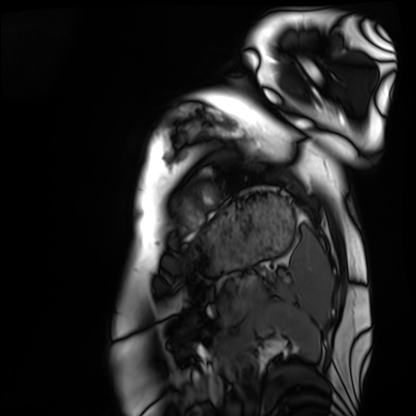
{
  "modality": "cardiac MRI",
  "cohort": "healthy volunteer"
}